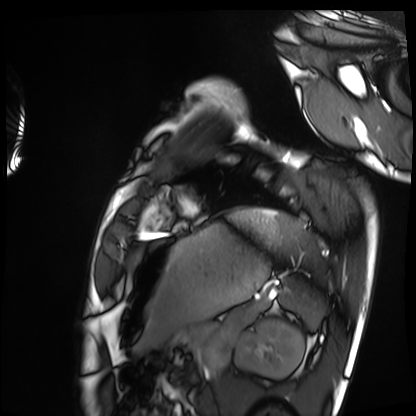
Clinical context:
Cardiac MRI. Subject group: healthy volunteer.